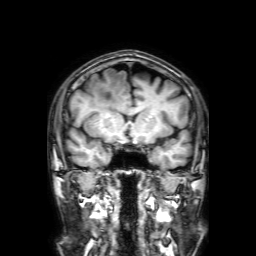
Summary:
3 Tesla brain MRI. Series: 3D T1-weighted with SENSE. Study: ring-enhancing brain masses.